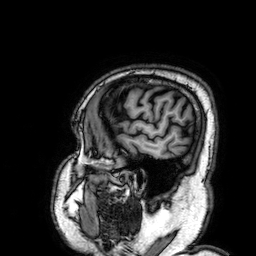
3 Tesla brain MRI.
Series: 3D T1-weighted.
Study: ring-enhancing brain masses.